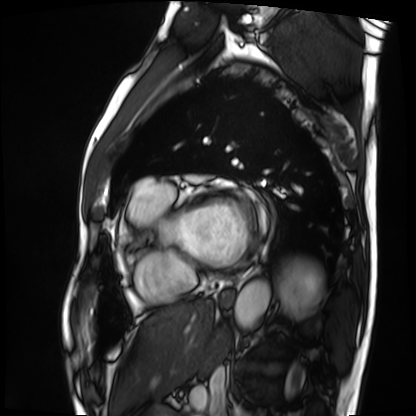
<scan>
  <modality>cardiac MRI</modality>
  <cohort>patient</cohort>
</scan>